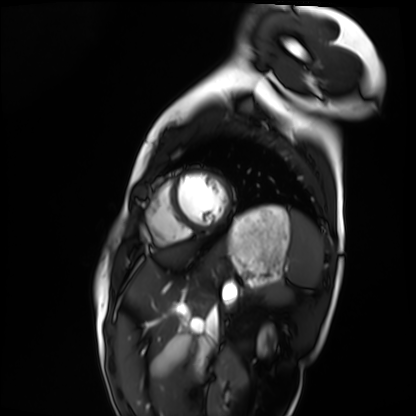
Summary: Cardiac MRI. Subject group: healthy volunteer.